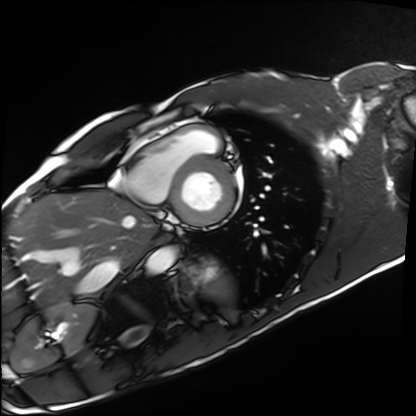
– modality · cardiac MRI
– subject group · healthy volunteer